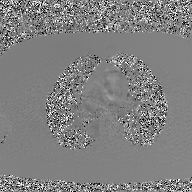
Case:
- modality — 2D phase-contrast cine MRI of the ascending aorta, GAN super-resolution reconstruction